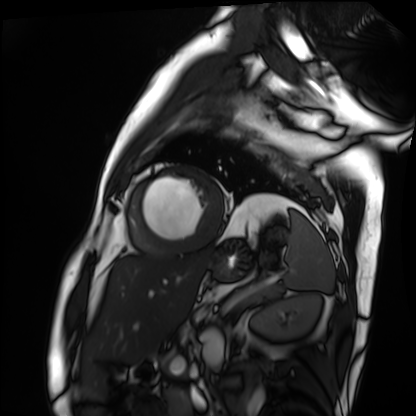
– modality · cardiac MRI
– subject group · patient